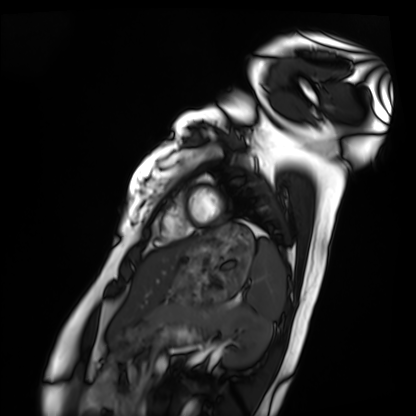
modality=cardiac MRI; subject group=healthy volunteer.